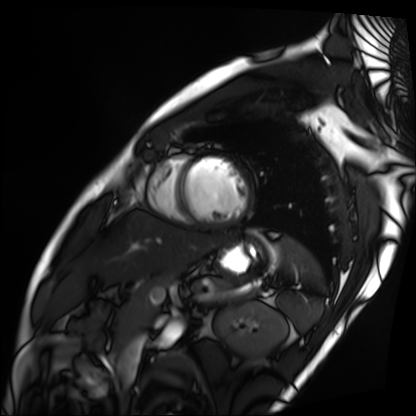
Cardiac MRI.
Subject group: patient.